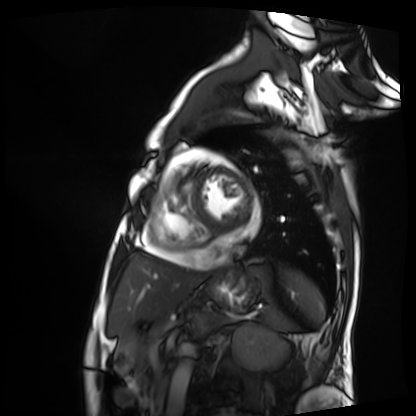
Cardiac MRI. Subject group: patient.